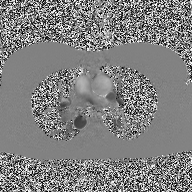
Q: What kind of scan is this?
A: 2D phase-contrast cine MRI of the ascending aorta.